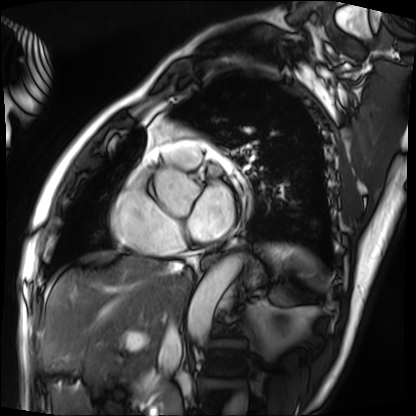
Cardiac MRI. Subject group: patient.